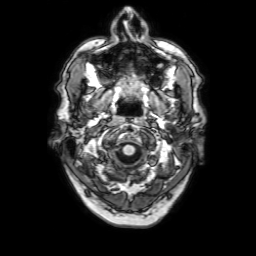
Summary: 3 Tesla brain MRI. Series: 3D T1-weighted with SENSE. Study: ring-enhancing brain masses.